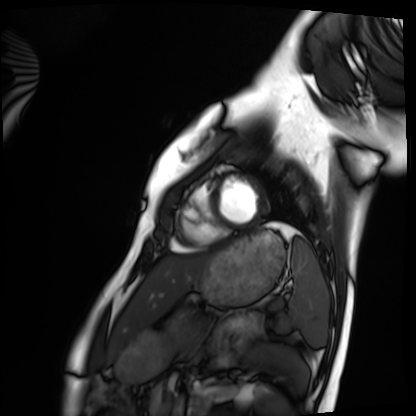
Cardiac MRI.
Subject group: healthy volunteer.